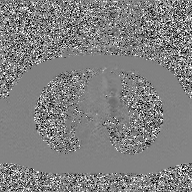
Clinical context:
2D phase-contrast cine MRI of the ascending aorta, GAN super-resolution reconstruction.